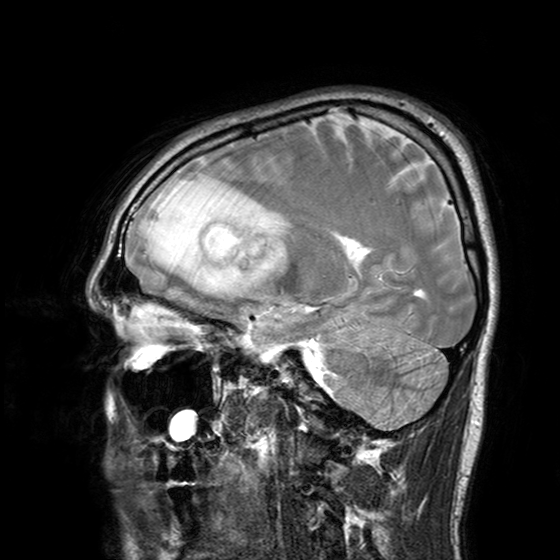
3 Tesla brain MRI. Study: ring-enhancing brain masses.